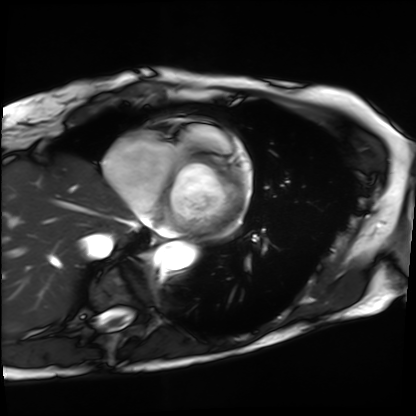
modality: cardiac MRI; subject group: patient.